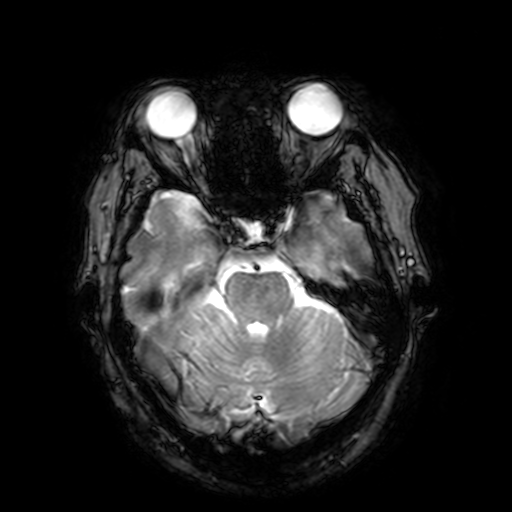
{"modality": {"type": "brain MRI", "field_strength": "3T"}, "series": "T2-weighted fast field echo with SENSE", "study_topic": "ring-enhancing brain masses"}